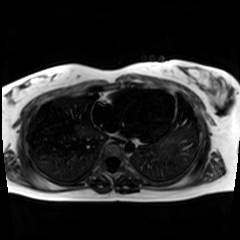
Case:
• modality · chemical-shift-encoded cardiac MRI